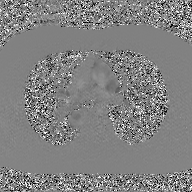
{
  "modality": {
    "type": "2D phase-contrast cine MRI",
    "region": "ascending aorta",
    "reconstruction": "GAN super-resolution reconstruction"
  }
}